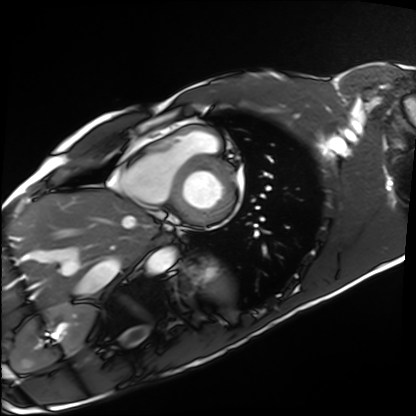
Cardiac MRI. Subject group: healthy volunteer.